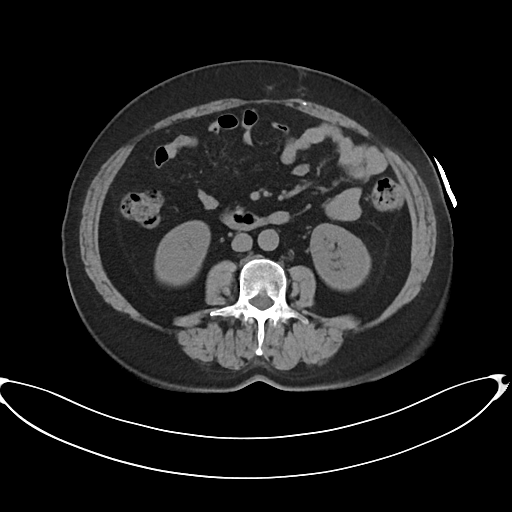
Multiphase abdominal CT, liver, non-contrast phase. Patient: female, age 60. History: prior chemotherapy.